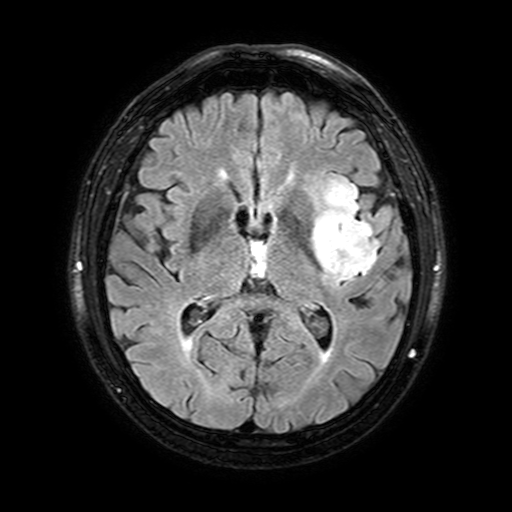
3 Tesla brain MRI. Series: FLAIR with SPAIR, 3 mm. Study: ring-enhancing brain masses.